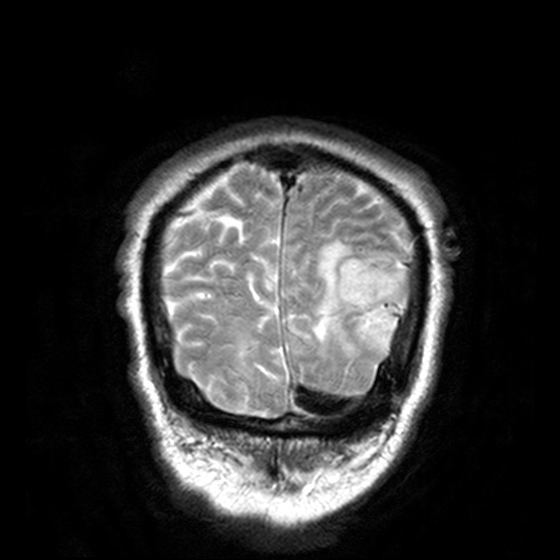
modality=3 Tesla brain MRI; series=T2-weighted turbo spin echo, 3 mm; study=ring-enhancing brain masses.